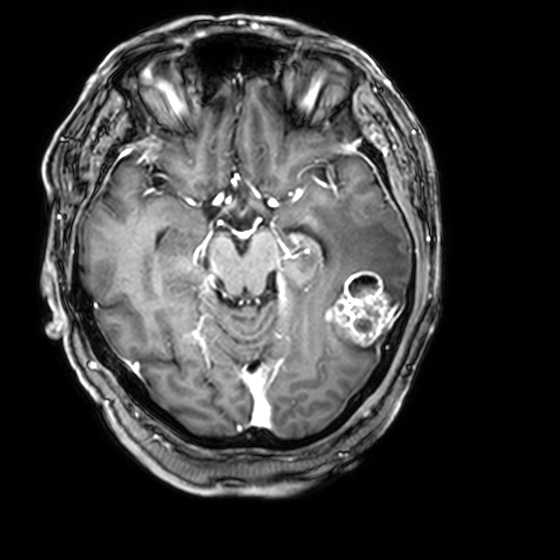
3 Tesla brain MRI. Series: 3D T1-weighted with CLEAR. Study: ring-enhancing brain masses.